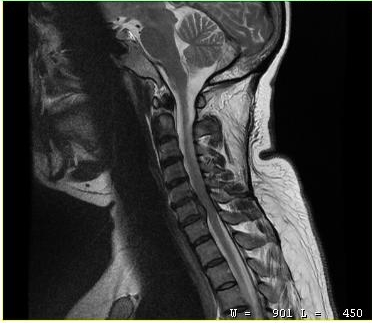
MRI of the cervical spine. Study: cervical spondylosis.